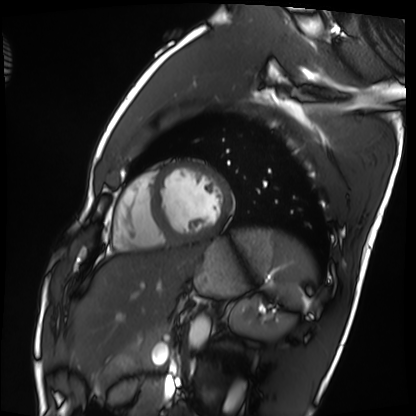
Cardiac MRI. Subject group: healthy volunteer.